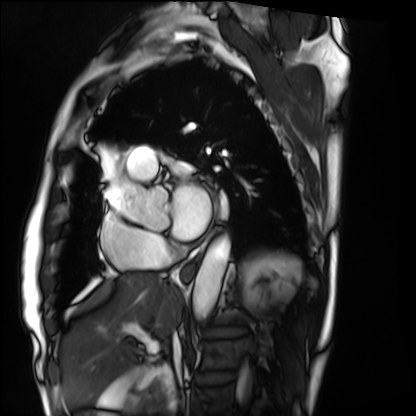
Cardiac MRI. Subject group: patient.